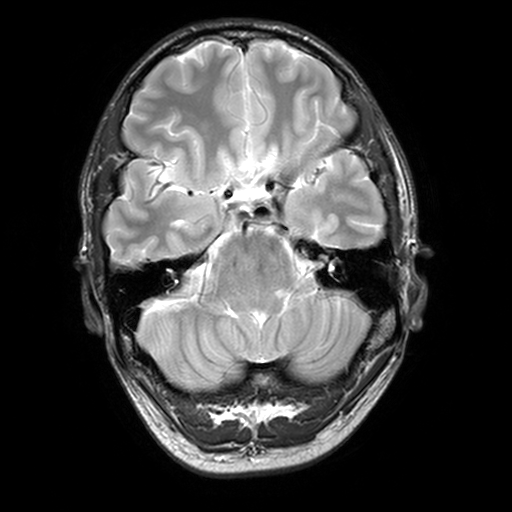
modality: 3 Tesla brain MRI
series: T2-weighted turbo spin echo, 3 mm
study: ring-enhancing brain masses